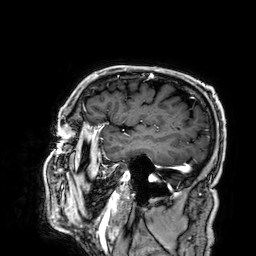
Case summary:
3 Tesla brain MRI. Series: 3D T1-weighted. Study: ring-enhancing brain masses.